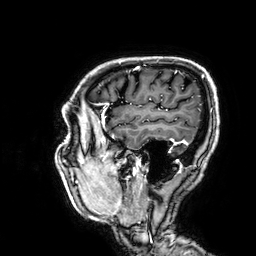
3 Tesla brain MRI. Series: 3D T1-weighted. Study: ring-enhancing brain masses.